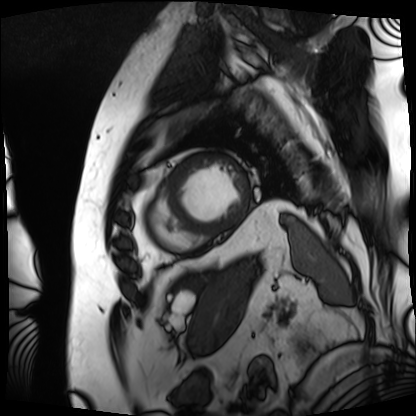
Case summary: Cardiac MRI. Subject group: patient.